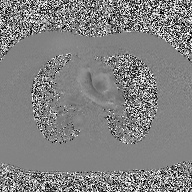
{
  "modality": {
    "type": "2D phase-contrast cine MRI",
    "region": "ascending aorta",
    "reconstruction": "high-resolution GRAPPA acquisition"
  }
}